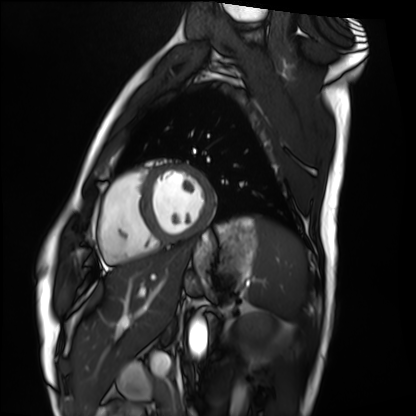
Cardiac MRI. Subject group: healthy volunteer.